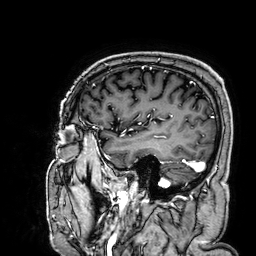
{"modality": {"type": "brain MRI", "field_strength": "3T"}, "series": "3D T1-weighted", "study_topic": "ring-enhancing brain masses"}